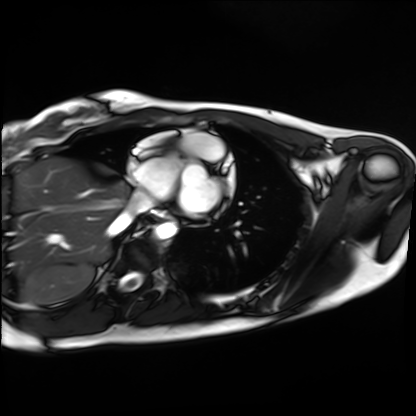
Case:
• modality: cardiac MRI
• subject group: healthy volunteer